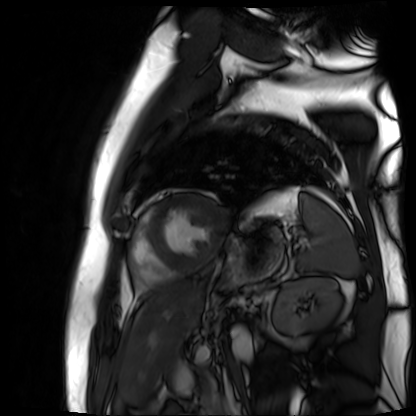
modality: cardiac MR image of the myocardium
subject cohort: cardiac patient